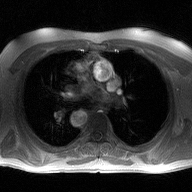
• modality — 2D phase-contrast cine MRI of the ascending aorta